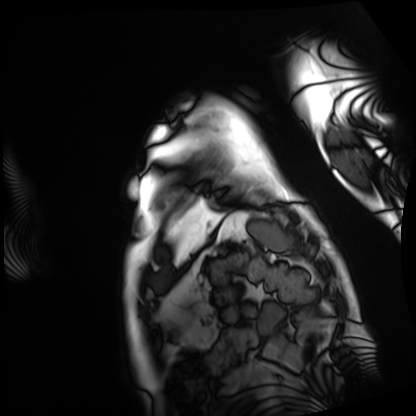
modality: cardiac MRI, subject group: patient.